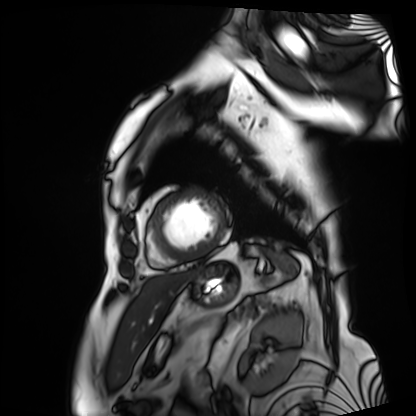
modality = cardiac MRI | subject group = patient.